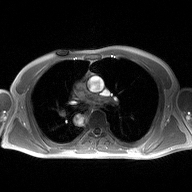
2D phase-contrast cine MRI of the ascending aorta, high-resolution GRAPPA acquisition.